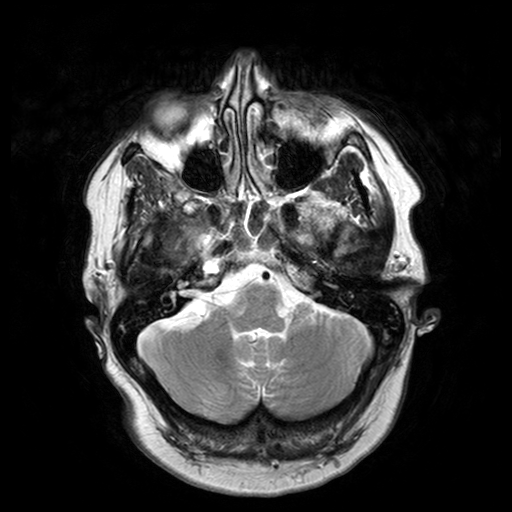
3 Tesla brain MRI. Series: T2-weighted turbo spin echo with SENSE. Study: ring-enhancing brain masses.